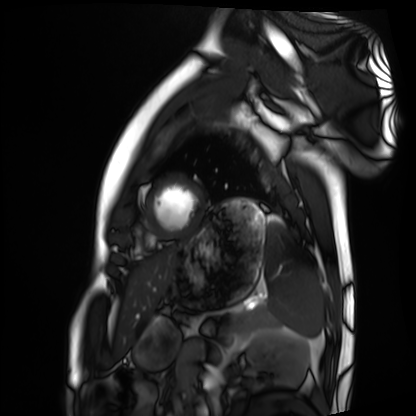
Summary: Cardiac MRI. Subject group: healthy volunteer.